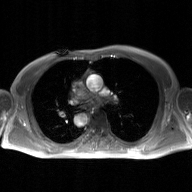
modality = 2D phase-contrast cine MRI of the ascending aorta, GAN super-resolution reconstruction.